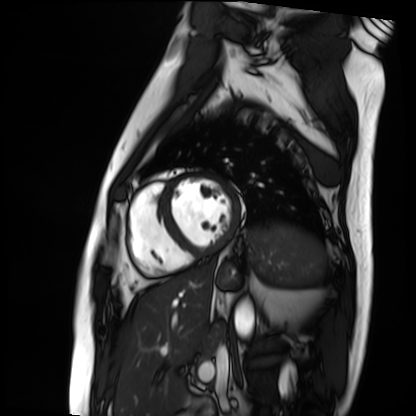
Cardiac MRI. Subject group: patient.